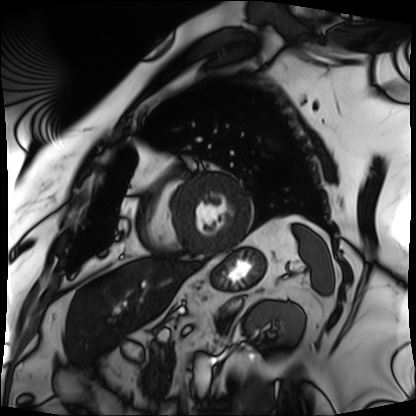
{
  "modality": "cardiac MRI",
  "cohort": "patient"
}